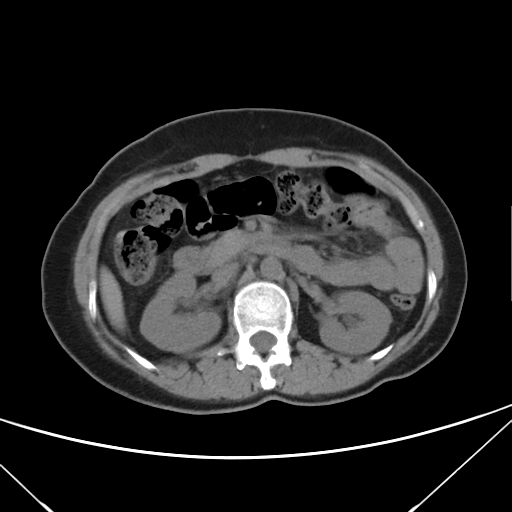
| field | value |
|---|---|
| modality | multiphase abdominal CT, liver, non-contrast phase |
| patient | female, age 43 |